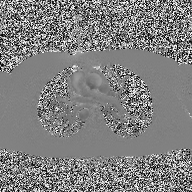
modality:
  type: 2D phase-contrast cine MRI
  region: ascending aorta
  reconstruction: high-resolution GRAPPA acquisition